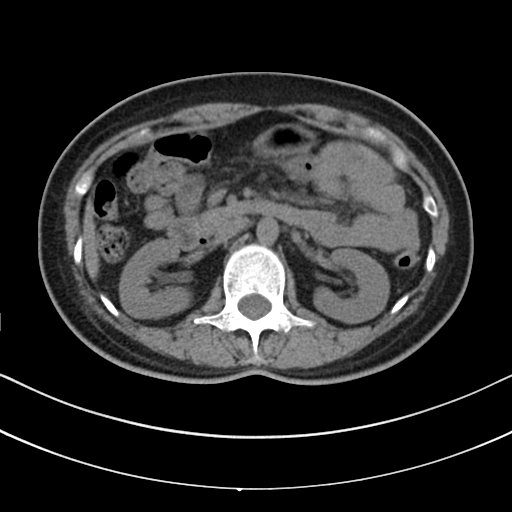
Q: What kind of scan is this?
A: Multiphase abdominal CT, liver, non-contrast phase.
Q: Patient?
A: Female, age 49.
Q: History?
A: Prior chemotherapy.